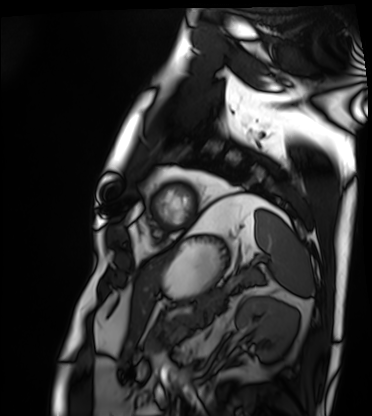
{"modality": "cardiac MRI", "cohort": "patient"}